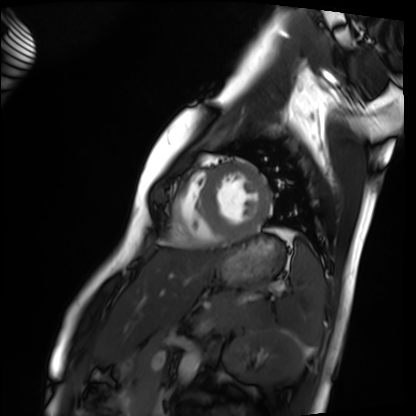
Cardiac MRI.
Subject group: healthy volunteer.